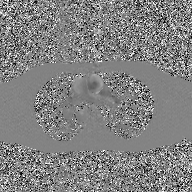
2D phase-contrast cine MRI of the ascending aorta, GAN super-resolution reconstruction.